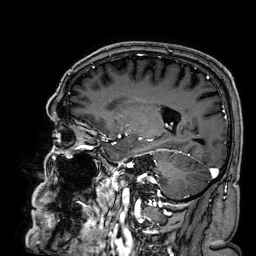
Summary:
3 Tesla brain MRI. Study: ring-enhancing brain masses.